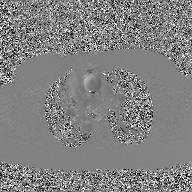
Q: What kind of scan is this?
A: 2D phase-contrast cine MRI of the ascending aorta, GAN super-resolution reconstruction.